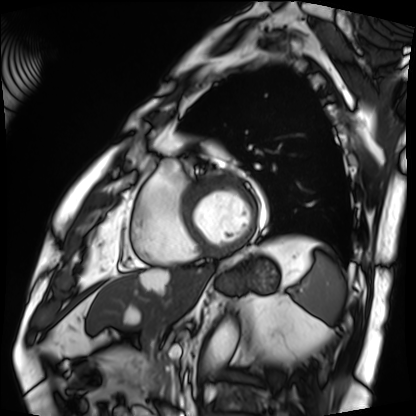
* modality: cardiac MRI
* subject group: patient